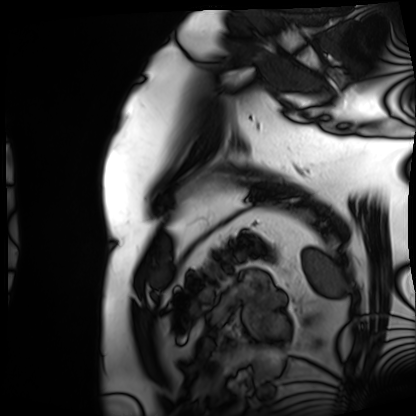
– modality: cardiac MRI
– subject group: patient